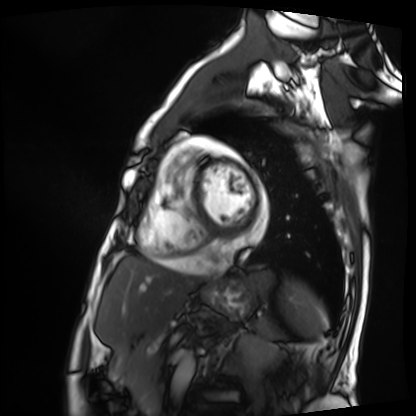
Cardiac MRI.
Subject group: patient.